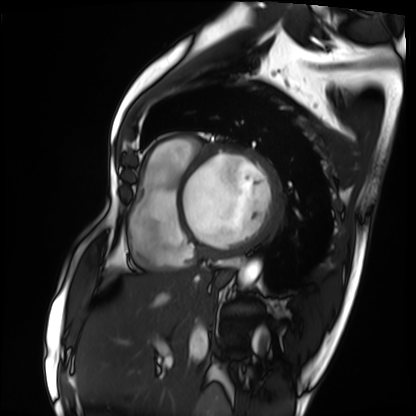
Cardiac MRI. Subject group: patient.